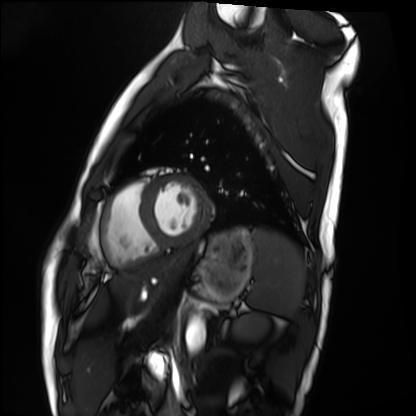
modality = cardiac MRI, subject group = healthy volunteer.